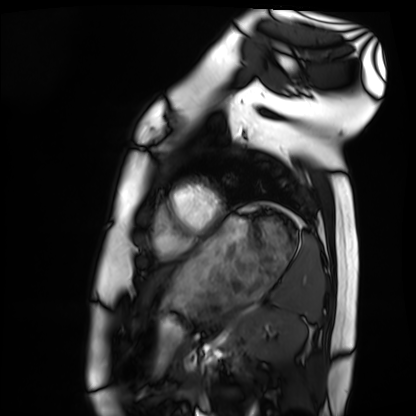
Cardiac MRI. Subject group: healthy volunteer.